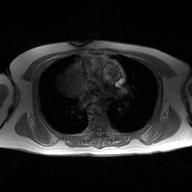
* modality: 2D phase-contrast cine MRI of the ascending aorta